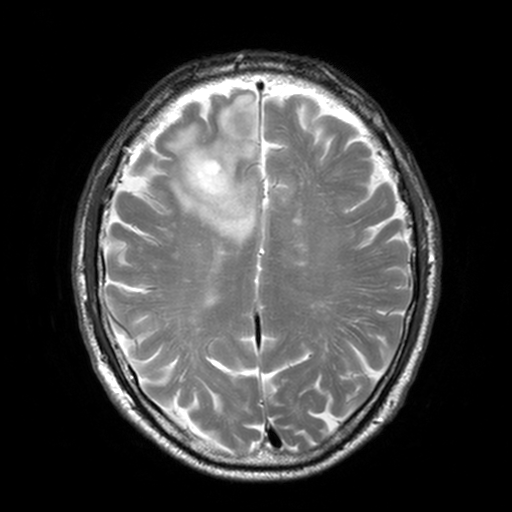
3 Tesla brain MRI. Series: T2-weighted turbo spin echo, 3 mm. Study: ring-enhancing brain masses.